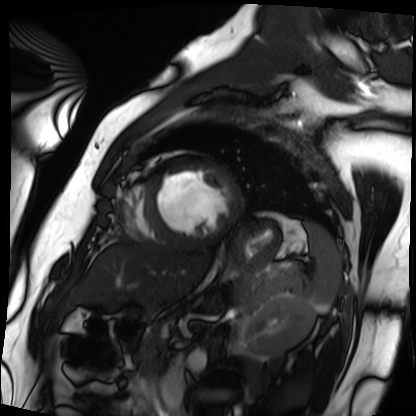
Summary:
Cardiac MRI. Subject group: patient.